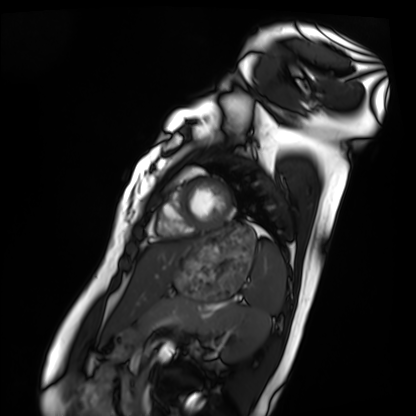
Q: What kind of scan is this?
A: Cardiac MRI.
Subject group: healthy volunteer.